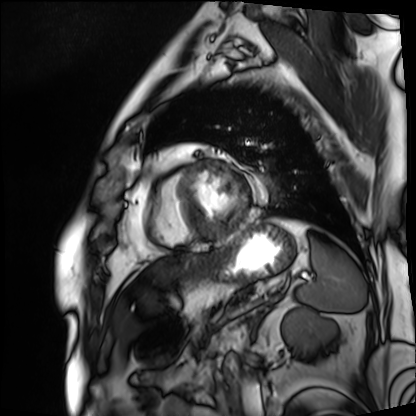
modality: cardiac MRI; subject group: patient.